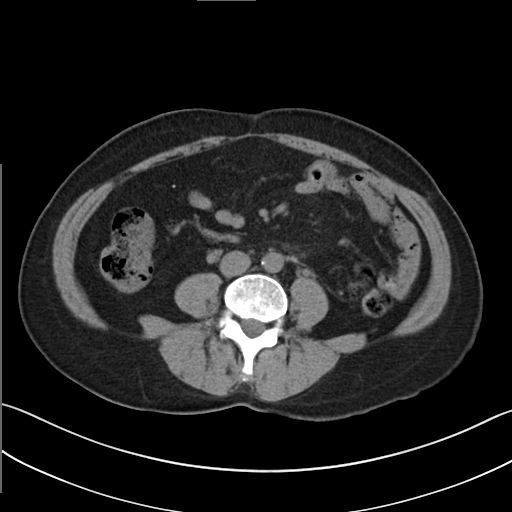
Multiphase abdominal CT, liver, non-contrast phase. Patient: female, age 49.